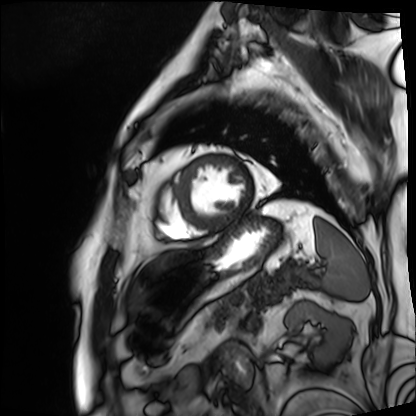
{
  "modality": "cardiac MRI",
  "cohort": "patient"
}